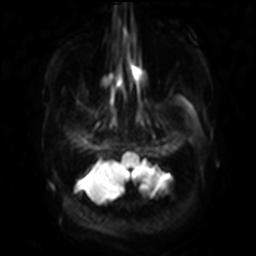
3 Tesla brain MRI.
Study: ring-enhancing brain masses.